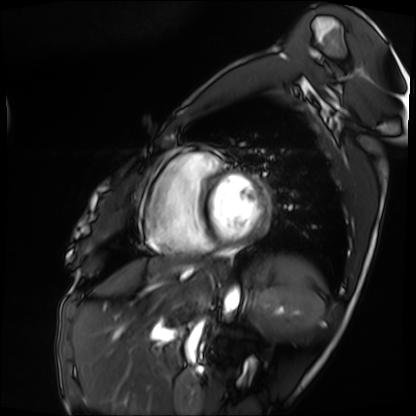
– modality — cardiac MRI
– subject group — patient